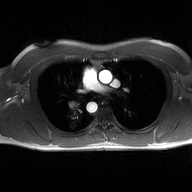
2D phase-contrast cine MRI of the ascending aorta, high-resolution GRAPPA acquisition.